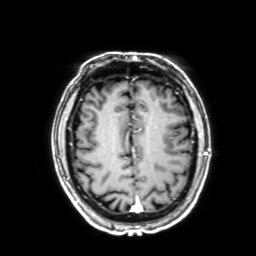
Summary:
3 Tesla brain MRI. Series: 3D T1-weighted with SENSE. Study: ring-enhancing brain masses.